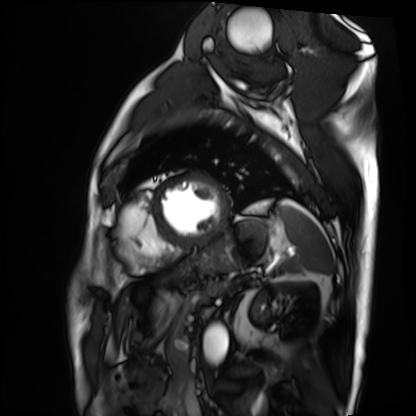
{
  "modality": "cardiac MRI",
  "cohort": "patient"
}